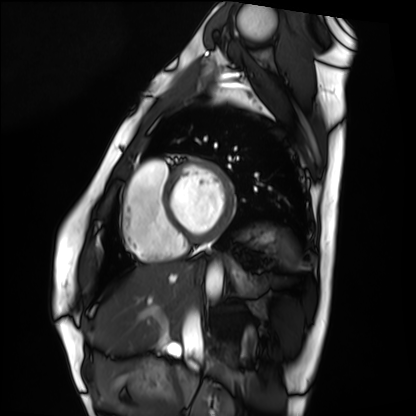
Summary: Cardiac MRI. Subject group: healthy volunteer.